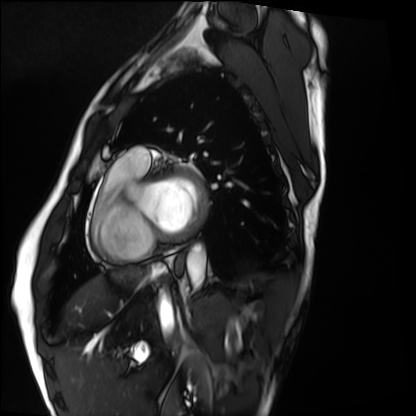
* modality: cardiac MRI
* subject group: healthy volunteer